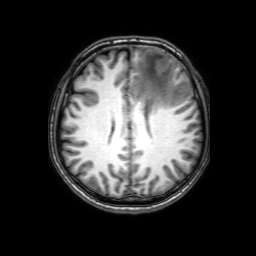
modality: 3 Tesla brain MRI | series: 3D T1-weighted with SENSE | study: ring-enhancing brain masses.